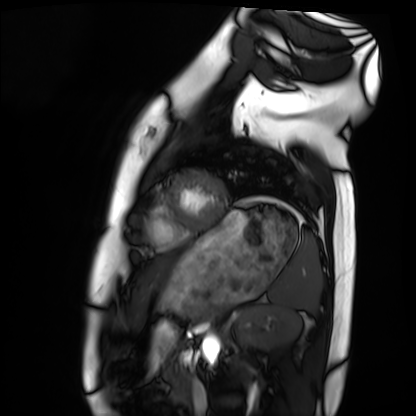
Summary: Cardiac MRI. Subject group: healthy volunteer.